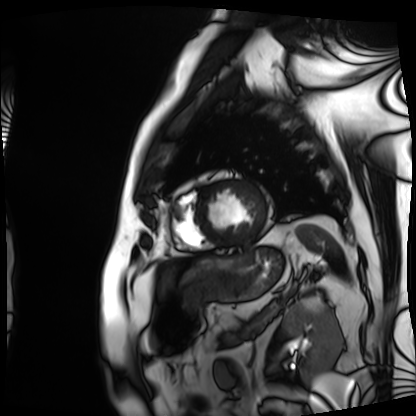
Cardiac MRI.
Subject group: patient.